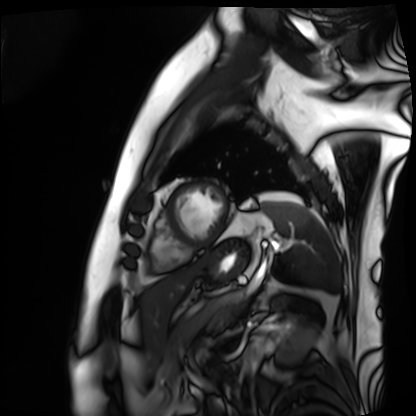
modality = cardiac MRI; subject group = patient.